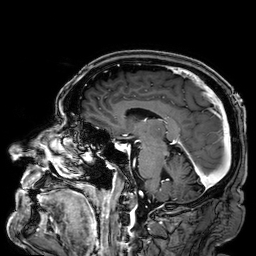
3 Tesla brain MRI.
Series: 3D T1-weighted.
Study: ring-enhancing brain masses.